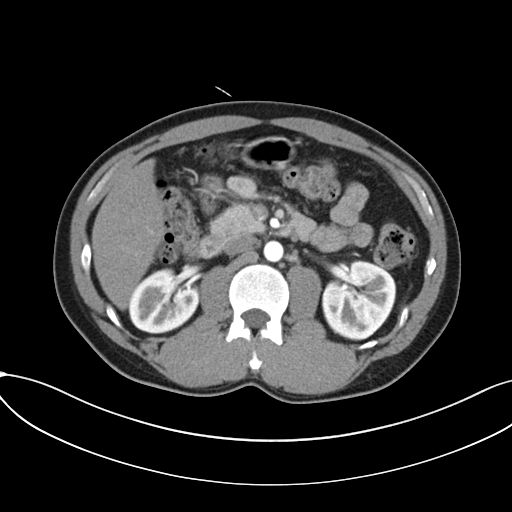
modality = multiphase abdominal CT, liver, arterial phase; patient = male, age 36.